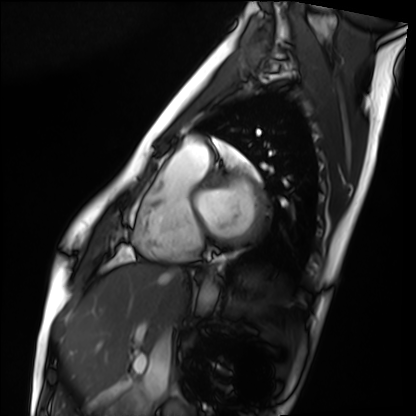
  modality: cardiac MRI
  cohort: healthy volunteer